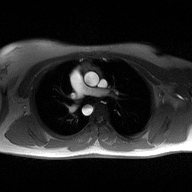
2D phase-contrast cine MRI of the ascending aorta, high-resolution GRAPPA acquisition.